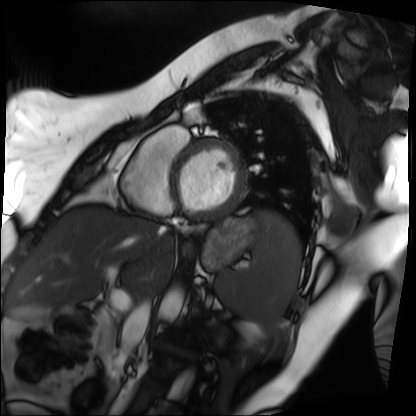
Summary:
Cardiac MRI. Subject group: patient.